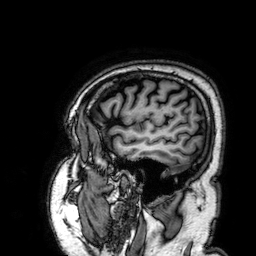
Summary: 3 Tesla brain MRI. Series: 3D T1-weighted. Study: ring-enhancing brain masses.